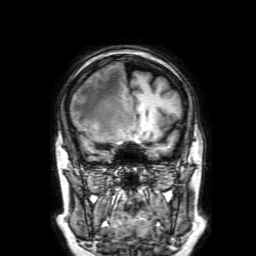
modality = 3 Tesla brain MRI | series = 3D T1-weighted with SENSE | study = ring-enhancing brain masses.